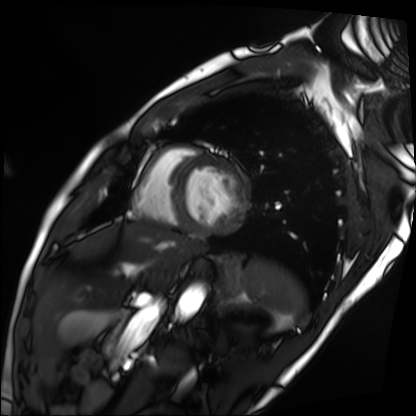
modality: cardiac MRI
subject group: patient